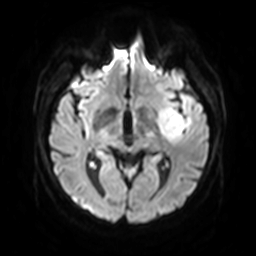
– modality: 3 Tesla brain MRI
– series: diffusion-weighted imaging with SENSE (WIP)
– study: ring-enhancing brain masses